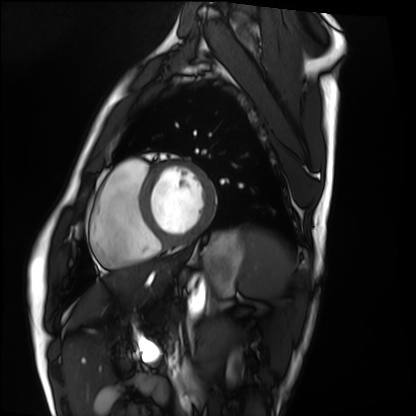
Cardiac MRI.
Subject group: healthy volunteer.